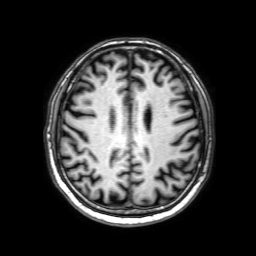
Summary:
3 Tesla brain MRI. Series: 3D T1-weighted with SENSE. Study: ring-enhancing brain masses.